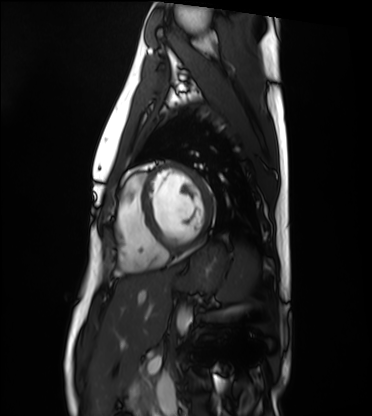
<study>
  <modality>cardiac MRI</modality>
  <cohort>healthy volunteer</cohort>
</study>